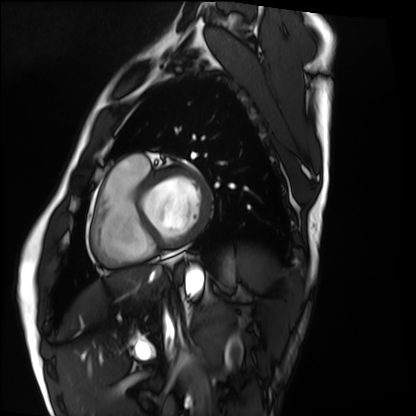
| field | value |
|---|---|
| modality | cardiac MRI |
| subject group | healthy volunteer |